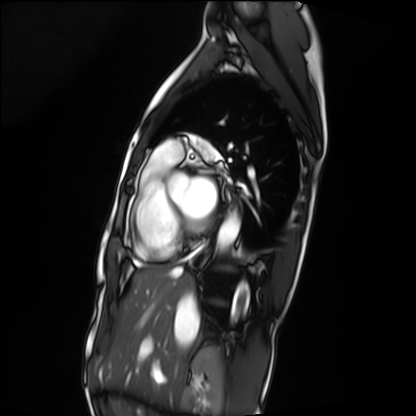
modality = cardiac MRI | subject group = patient.